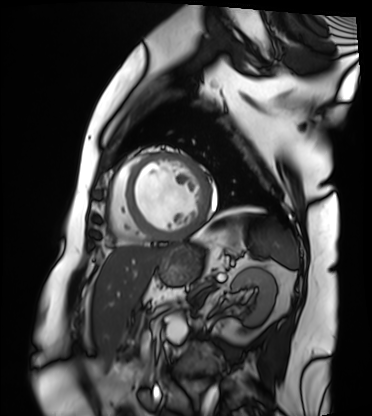
Cardiac MRI. Subject group: patient.